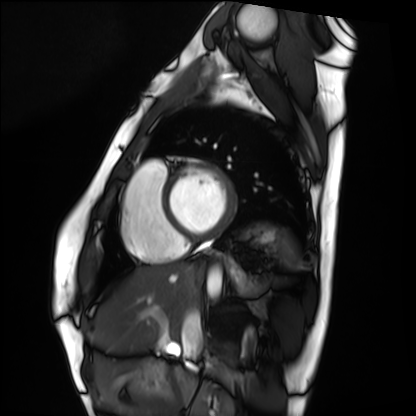
Cardiac MRI. Subject group: healthy volunteer.